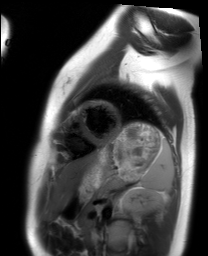
- modality — cardiac MRI
- subject group — healthy volunteer